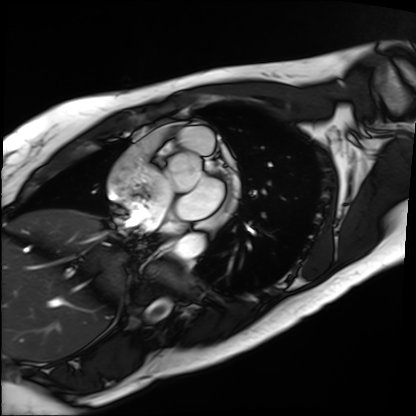
<study>
<modality>cardiac MRI</modality>
<cohort>patient</cohort>
</study>